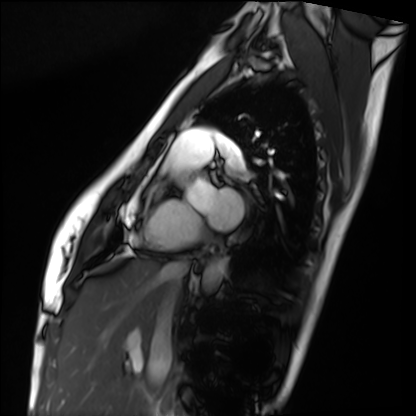
– modality: cardiac MRI
– subject group: healthy volunteer